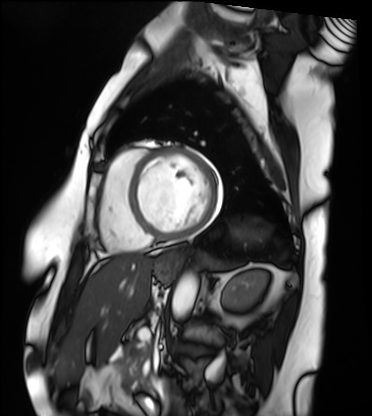
Q: What kind of scan is this?
A: Cardiac MRI.
Subject group: patient.